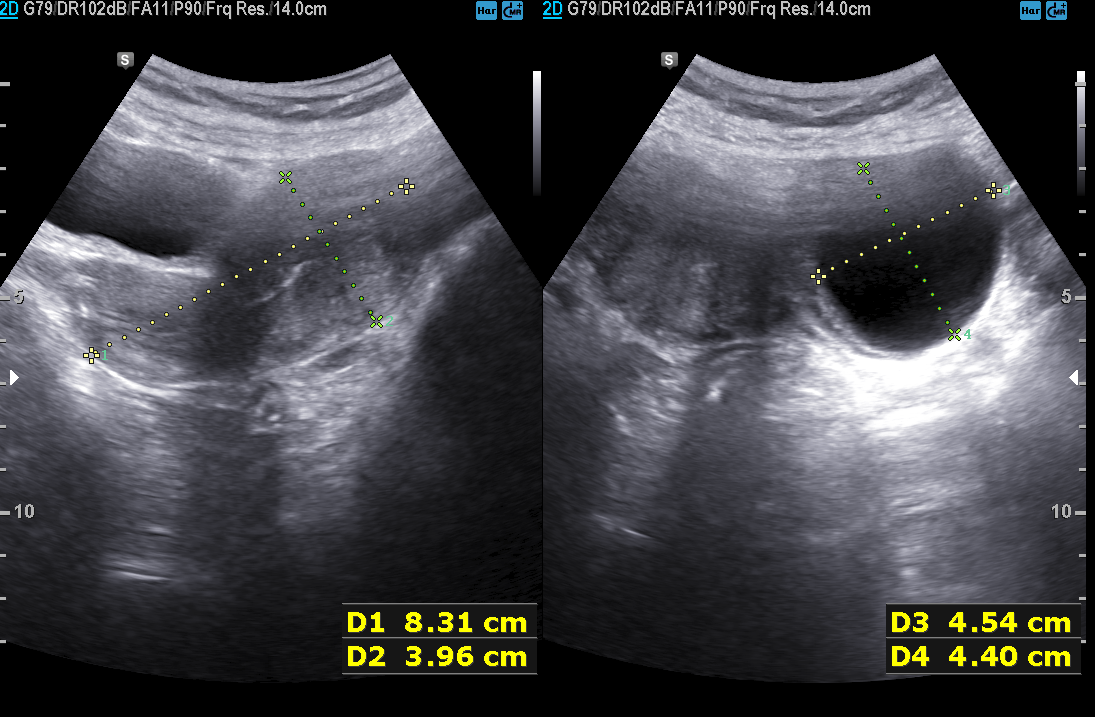
modality: genitourinary ultrasound.